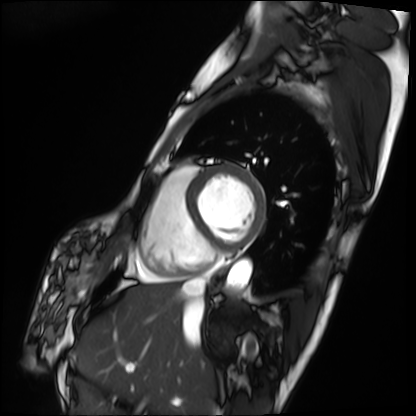
Case summary: Cardiac MRI. Subject group: patient.